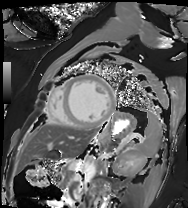
| field | value |
|---|---|
| modality | cardiac MRI |
| subject group | patient |